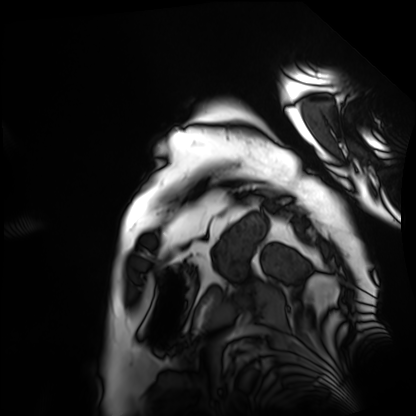
Cardiac MRI. Subject group: patient.